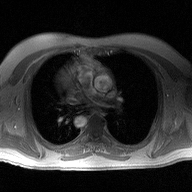
2D phase-contrast cine MRI of the ascending aorta, high-resolution GRAPPA acquisition.